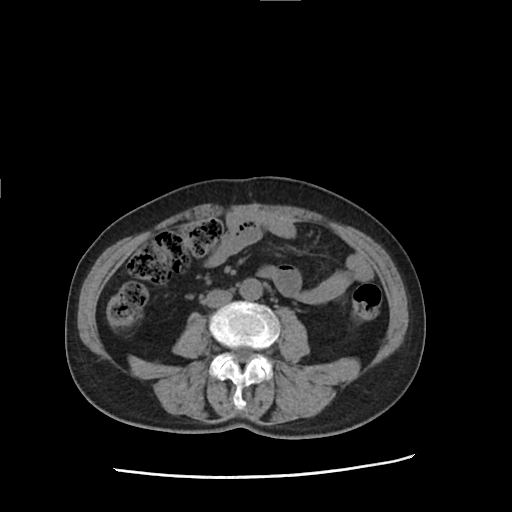
Case summary: Multiphase abdominal CT, liver, non-contrast phase. Patient: female, age 71.